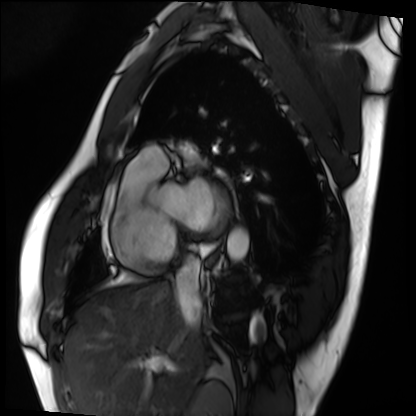
modality = cardiac MRI | subject group = patient.